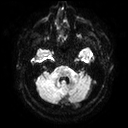
Clinical context:
3 Tesla brain MRI. Series: diffusion tensor imaging (medium iso). Study: ring-enhancing brain masses.